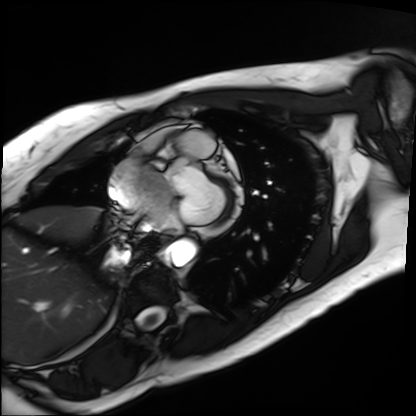
Q: What kind of scan is this?
A: Cardiac MRI.
Subject group: patient.